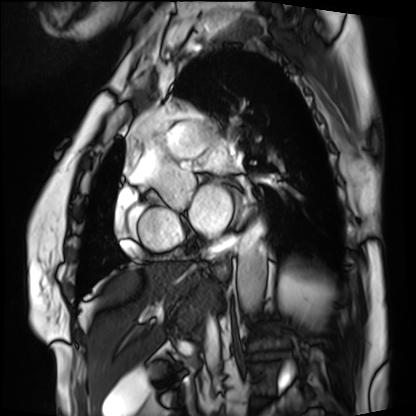
Cardiac MRI. Subject group: patient.